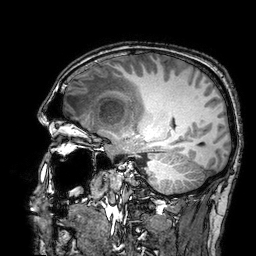
Summary: 3 Tesla brain MRI. Series: 3D T1-weighted turbo field echo with SENSE. Study: ring-enhancing brain masses.